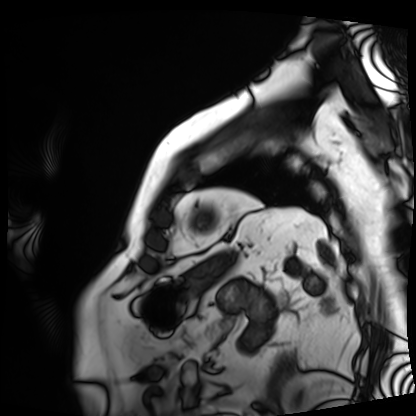
Cardiac MRI. Subject group: patient.